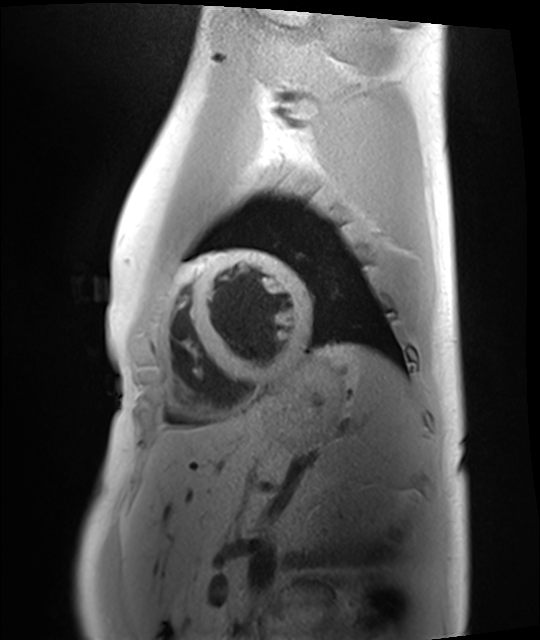
Cardiac MRI.
Subject group: healthy volunteer.